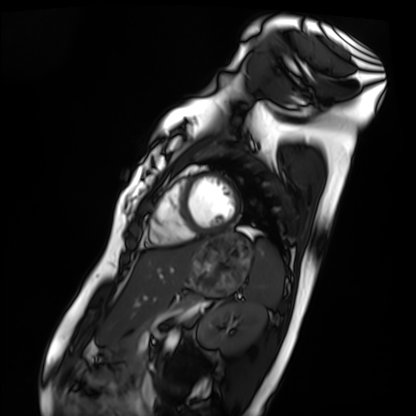
- modality: cardiac MRI
- subject group: healthy volunteer